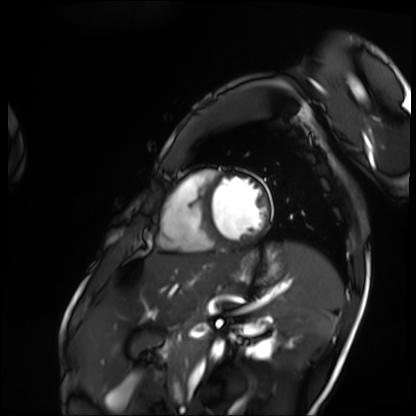
Summary:
Cardiac MRI. Subject group: patient.